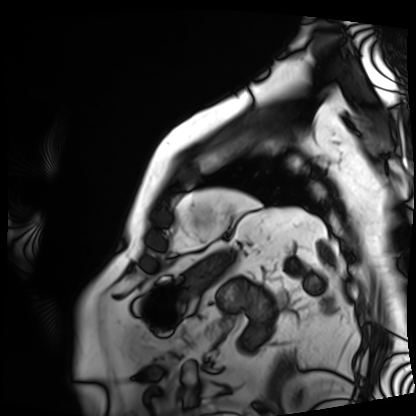
Case summary: Cardiac MRI. Subject group: patient.